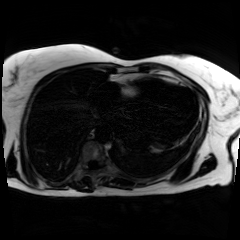
modality: chemical-shift-encoded cardiac MRI.